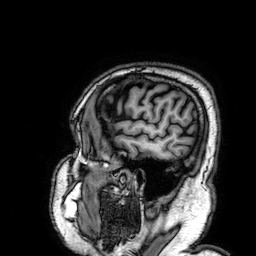
3 Tesla brain MRI.
Series: 3D T1-weighted.
Study: ring-enhancing brain masses.